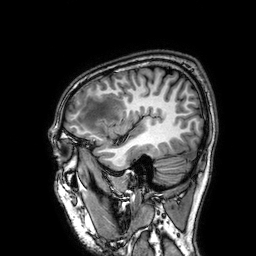
3 Tesla brain MRI.
Series: 3D T1-weighted.
Study: ring-enhancing brain masses.